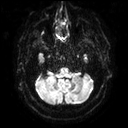
3 Tesla brain MRI.
Series: diffusion tensor imaging (medium iso).
Study: ring-enhancing brain masses.